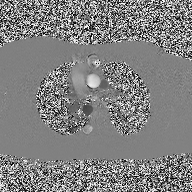
{
  "modality": {
    "type": "2D phase-contrast cine MRI",
    "region": "ascending aorta",
    "reconstruction": "high-resolution GRAPPA acquisition"
  }
}